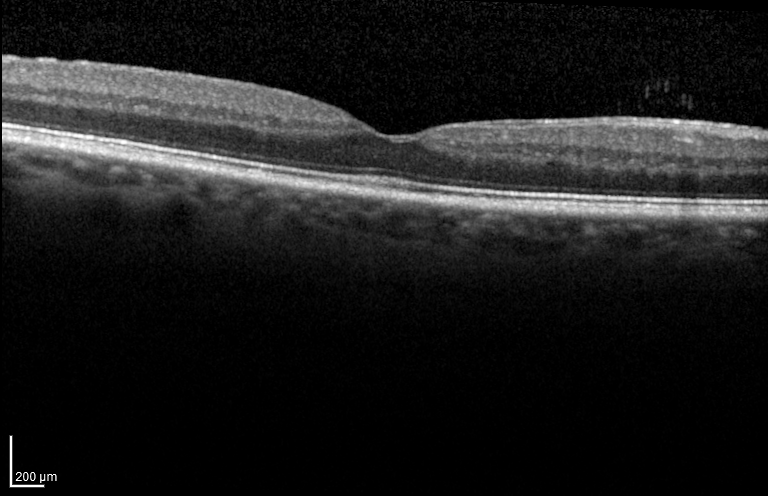
Spectral-domain optical coherence tomography (SD-OCT) of the macula.
Cohort: non-diabetic control.